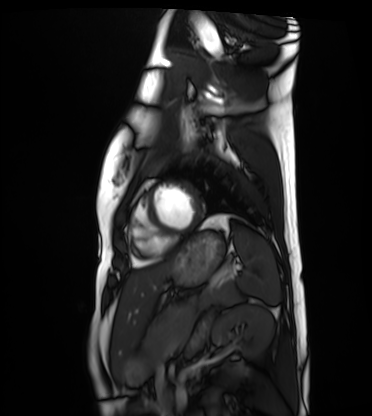
Cardiac MRI. Subject group: healthy volunteer.